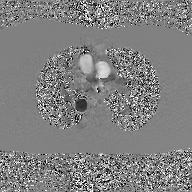
{
  "modality": {
    "type": "2D phase-contrast cine MRI",
    "region": "ascending aorta",
    "reconstruction": "GAN super-resolution reconstruction"
  }
}